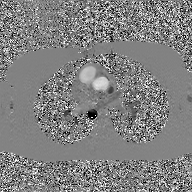
modality=2D phase-contrast cine MRI of the ascending aorta, GAN super-resolution reconstruction.